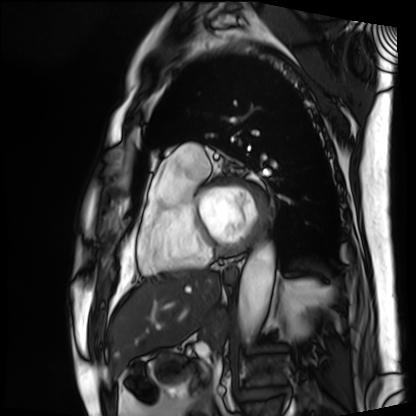
- modality — cardiac MRI
- subject group — patient